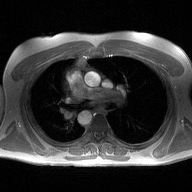
{
  "modality": {
    "type": "2D phase-contrast cine MRI",
    "region": "ascending aorta",
    "reconstruction": "high-resolution GRAPPA acquisition"
  }
}